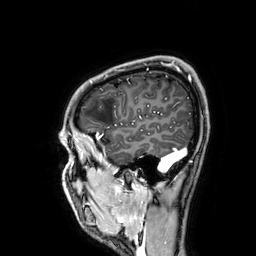
3 Tesla brain MRI. Series: 3D T1-weighted. Study: ring-enhancing brain masses.